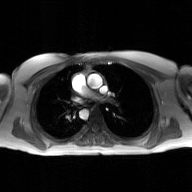
| field | value |
|---|---|
| modality | 2D phase-contrast cine MRI of the ascending aorta, GAN super-resolution reconstruction |